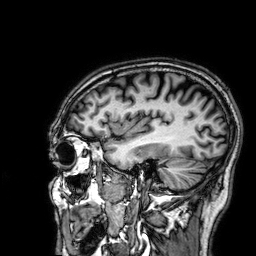
Clinical context:
3 Tesla brain MRI. Series: 3D T1-weighted. Study: ring-enhancing brain masses.